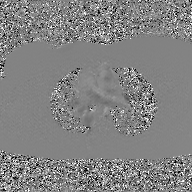
| field | value |
|---|---|
| modality | 2D phase-contrast cine MRI of the ascending aorta, GAN super-resolution reconstruction |